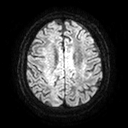
Clinical context: 3 Tesla brain MRI. Series: diffusion tensor imaging (medium iso). Study: ring-enhancing brain masses.